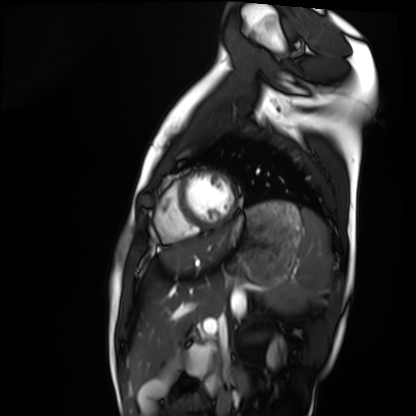
modality: cardiac MRI
cohort: healthy volunteer